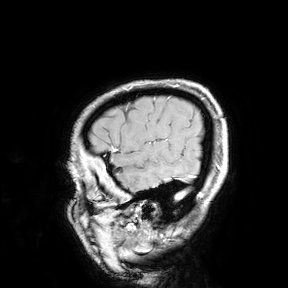
Q: What kind of scan is this?
A: 3 Tesla brain MRI.
Study: ring-enhancing brain masses.